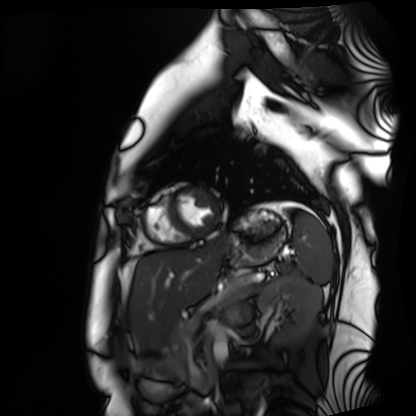
Summary:
Cardiac MRI. Subject group: healthy volunteer.